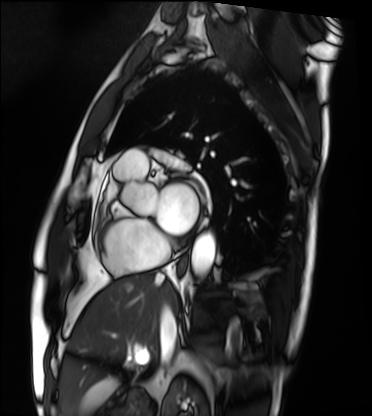
Case summary: Cardiac MRI. Subject group: patient.